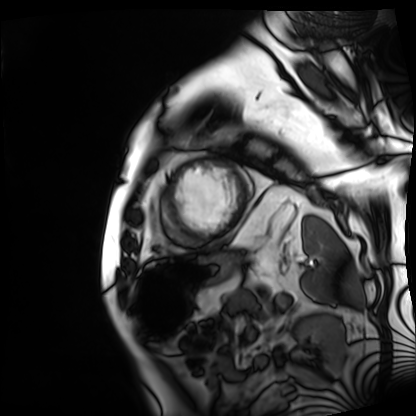
Cardiac MRI. Subject group: patient.